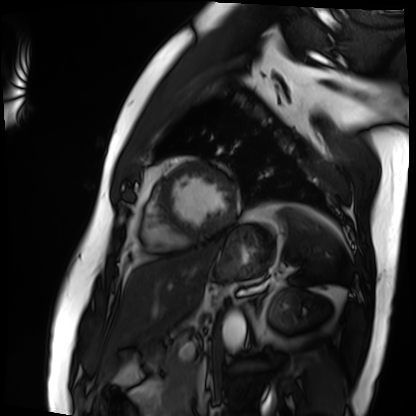
Cardiac MRI. Subject group: patient.